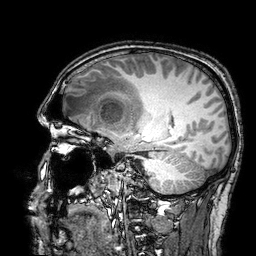
  modality:
    type: brain MRI
    field_strength: 3T
  series: 3D T1-weighted turbo field echo with SENSE
  study_topic: ring-enhancing brain masses